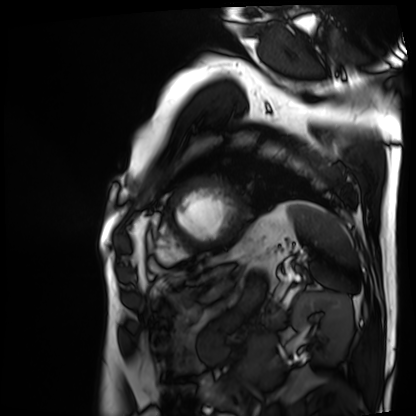
Cardiac MRI. Subject group: patient.